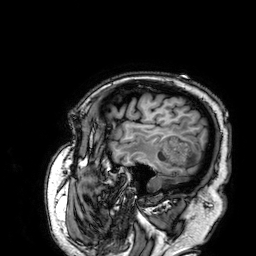
3 Tesla brain MRI.
Series: 3D T1-weighted.
Study: ring-enhancing brain masses.